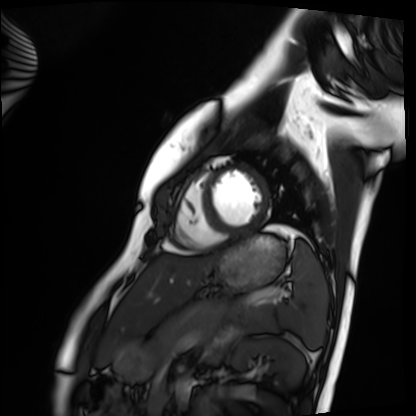
Case:
• modality · cardiac MRI
• subject group · healthy volunteer